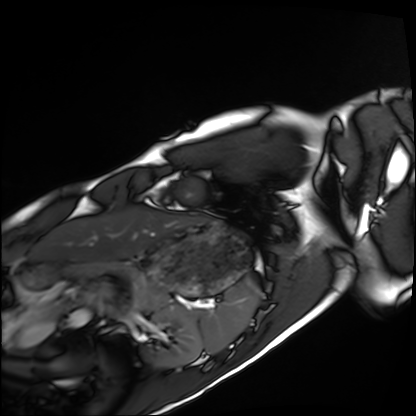
Cardiac MRI. Subject group: healthy volunteer.